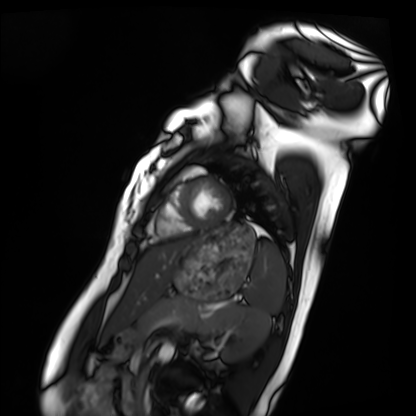
<study>
  <modality>cardiac MRI</modality>
  <cohort>healthy volunteer</cohort>
</study>